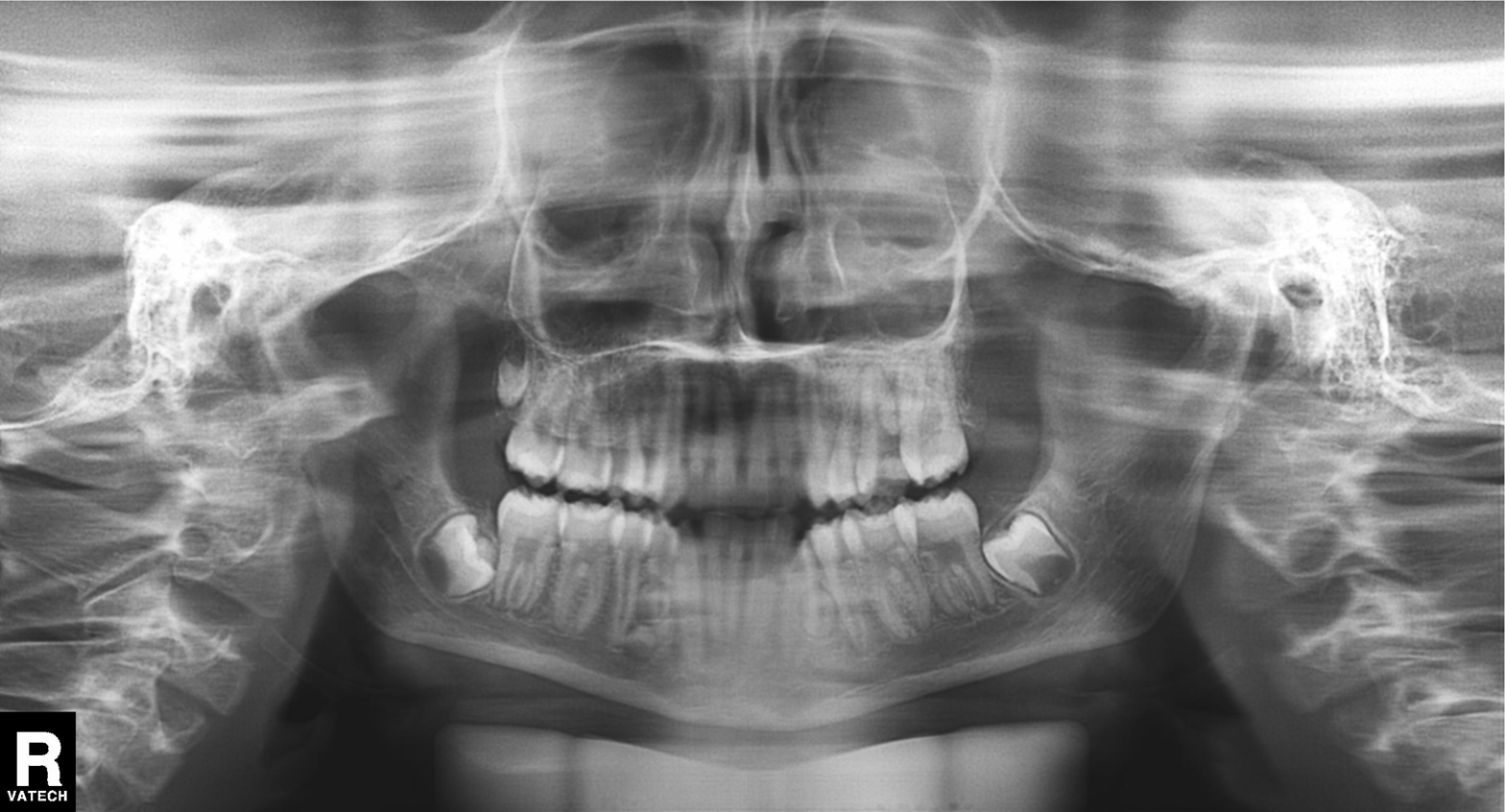
Findings:
– modality: panoramic dental radiograph (orthopantomogram)
– finding: tooth impaction